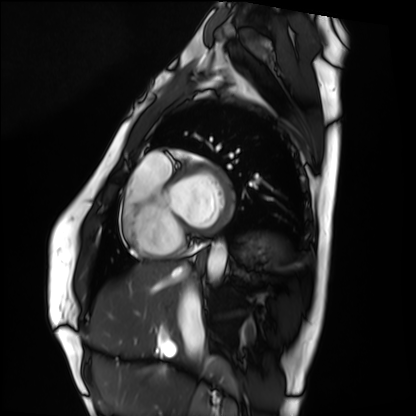
Q: What kind of scan is this?
A: Cardiac MRI.
Subject group: healthy volunteer.